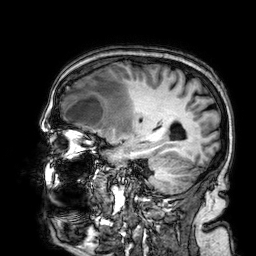
<case>
<modality>
  <type>brain MRI</type>
  <field_strength>3T</field_strength>
</modality>
<series>3D T1-weighted</series>
<study_topic>ring-enhancing brain masses</study_topic>
</case>